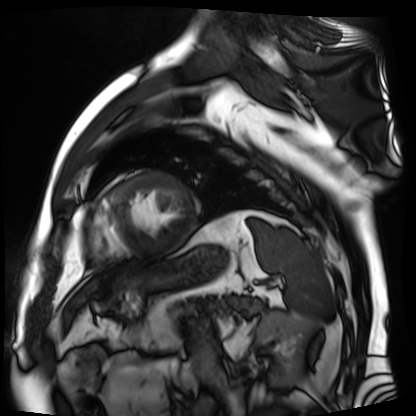
Cardiac MR image of the myocardium. Subject cohort: cardiac patient.